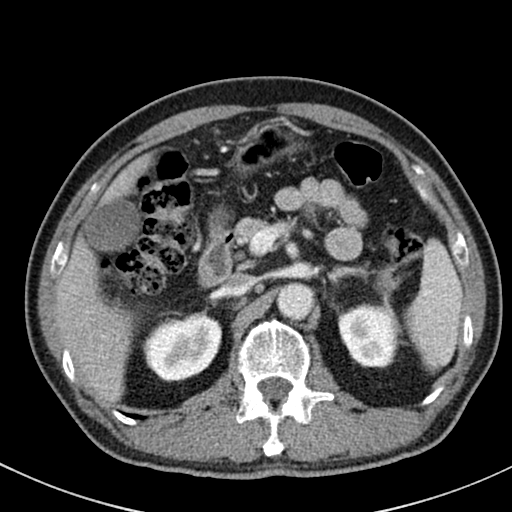
modality: multiphase abdominal CT, liver, portal venous phase | patient: male, age 64.